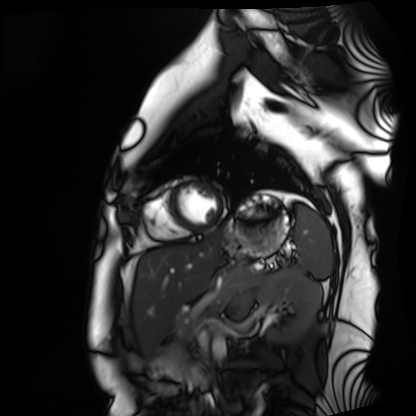
Summary: Cardiac MRI. Subject group: healthy volunteer.